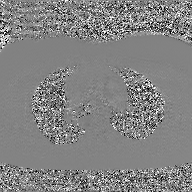
Q: What kind of scan is this?
A: 2D phase-contrast cine MRI of the ascending aorta, GAN super-resolution reconstruction.